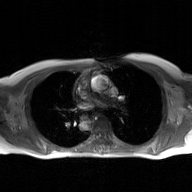
2D phase-contrast cine MRI of the ascending aorta, GAN super-resolution reconstruction.